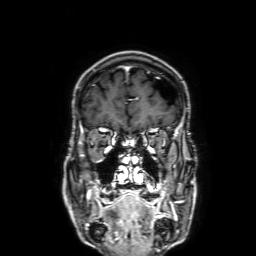
Q: What kind of scan is this?
A: 3 Tesla brain MRI.
Q: Series?
A: 3D T1-weighted with SENSE.
Study: ring-enhancing brain masses.